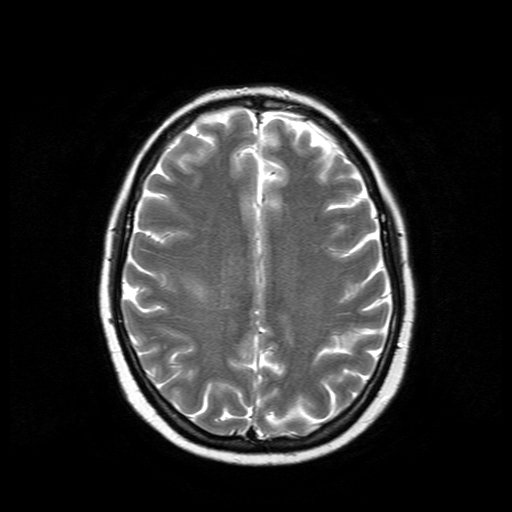
Summary:
3 Tesla brain MRI. Series: T2-weighted turbo spin echo. Study: ring-enhancing brain masses.